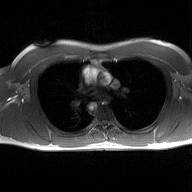
2D phase-contrast cine MRI of the ascending aorta, high-resolution GRAPPA acquisition.